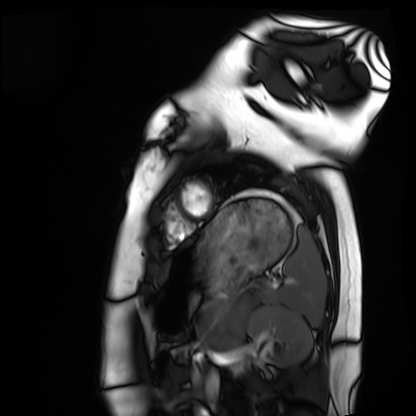
Cardiac MRI.
Subject group: healthy volunteer.